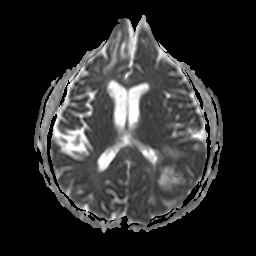
Case summary:
3 Tesla brain MRI. Series: apparent diffusion coefficient (ADC) map. Study: ring-enhancing brain masses.